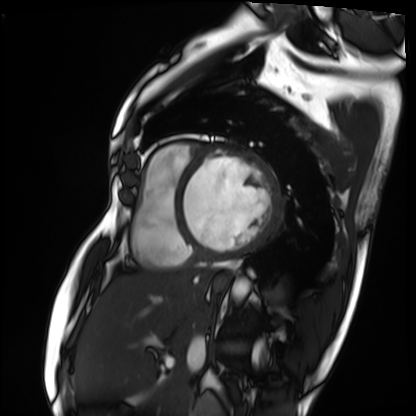
Case summary:
Cardiac MRI. Subject group: patient.